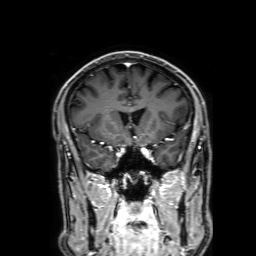
Q: What kind of scan is this?
A: 3 Tesla brain MRI.
Q: Series?
A: 3D T1-weighted with SENSE.
Study: ring-enhancing brain masses.